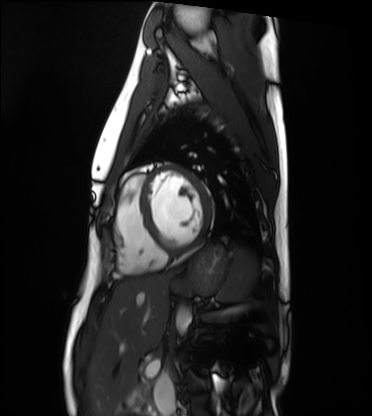
Cardiac MRI. Subject group: healthy volunteer.